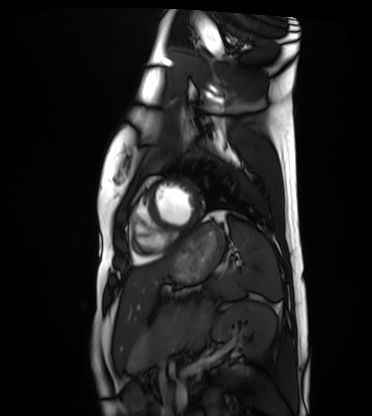
Cardiac MRI.
Subject group: healthy volunteer.